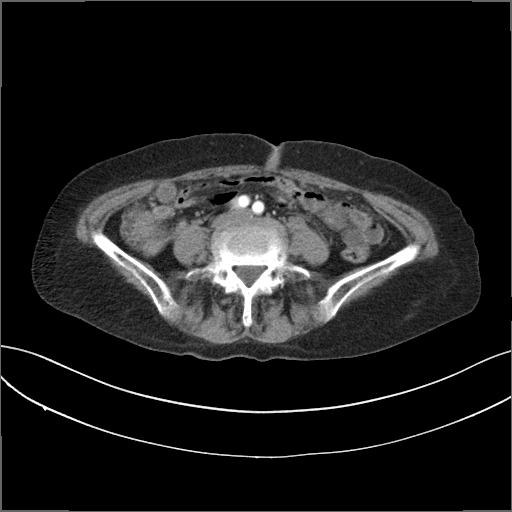
Case:
• modality — multiphase abdominal CT, liver, arterial phase
• patient — female, age 74